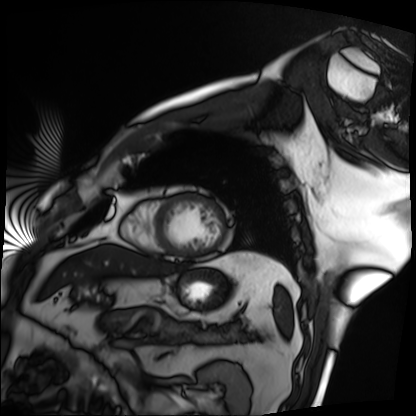
Cardiac MRI. Subject group: patient.